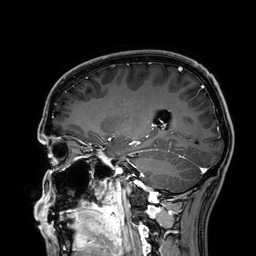
modality: 3 Tesla brain MRI | series: 3D T1-weighted | study: ring-enhancing brain masses.